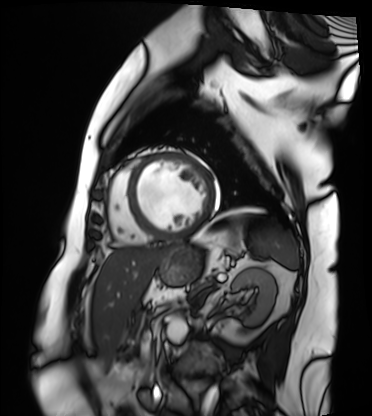
Summary:
Cardiac MRI. Subject group: patient.